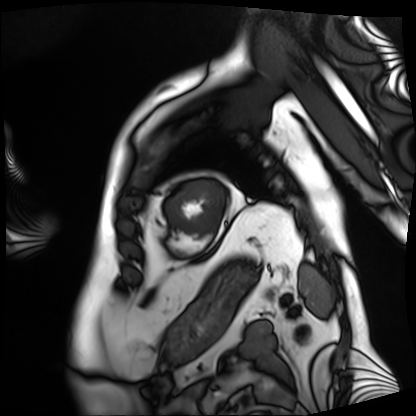
{
  "modality": "cardiac MRI",
  "cohort": "patient"
}